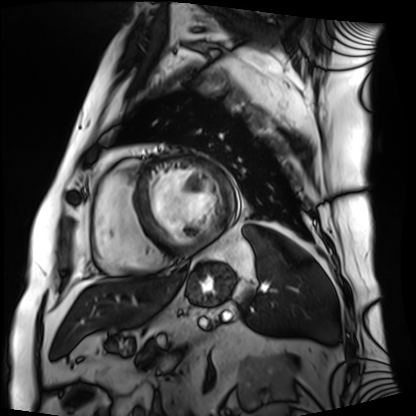
Case:
* modality — cardiac MRI
* subject group — patient